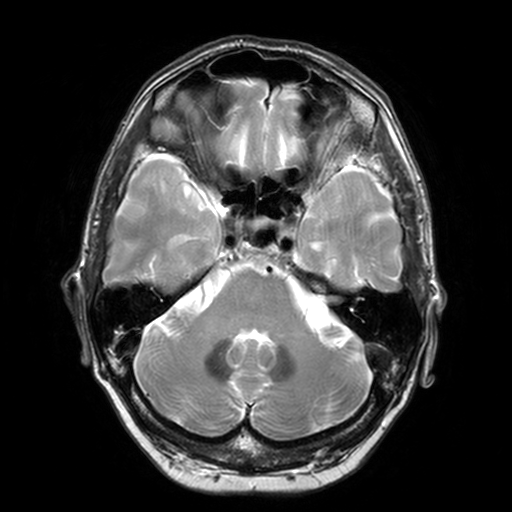
modality = 3 Tesla brain MRI | series = T2-weighted turbo spin echo, 3 mm | study = ring-enhancing brain masses.